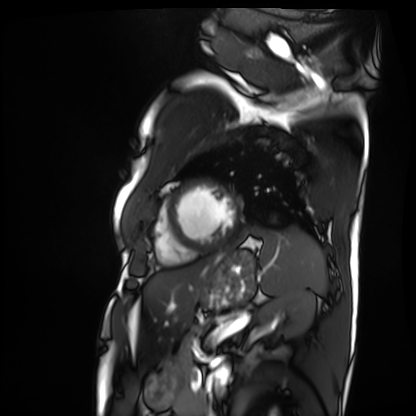
{
  "modality": "cardiac MRI",
  "cohort": "patient"
}